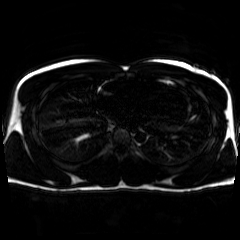
Chemical-shift-encoded cardiac MRI.